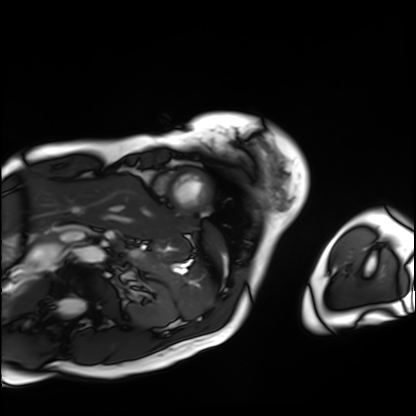
modality: cardiac MRI | subject group: patient.